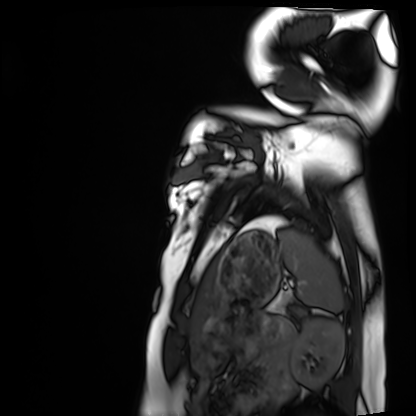
modality = cardiac MRI
subject group = healthy volunteer